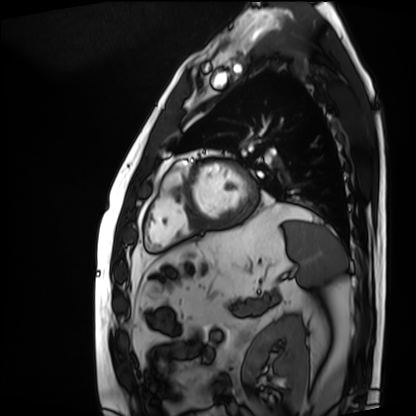
modality: cardiac MRI; subject group: patient.